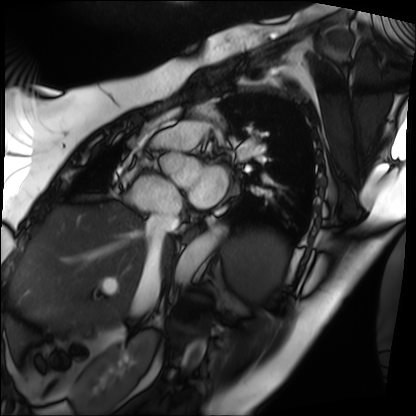
modality=cardiac MRI | subject group=patient.